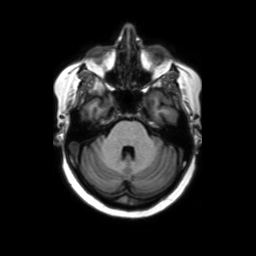
3 Tesla brain MRI.
Series: axial without contrast.
Study: ring-enhancing brain masses.